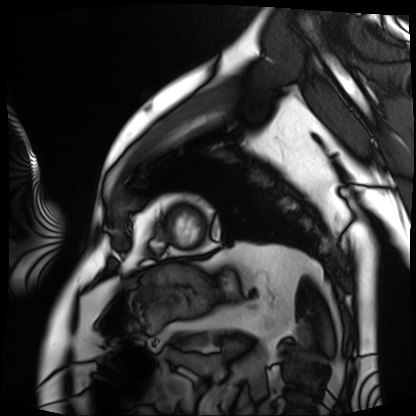
Case:
– modality — cardiac MRI
– subject group — patient